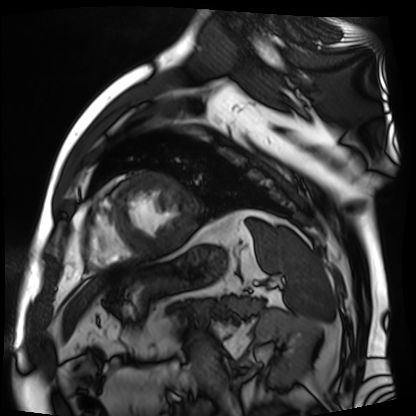
modality: cardiac MR image of the myocardium
subject cohort: cardiac patient